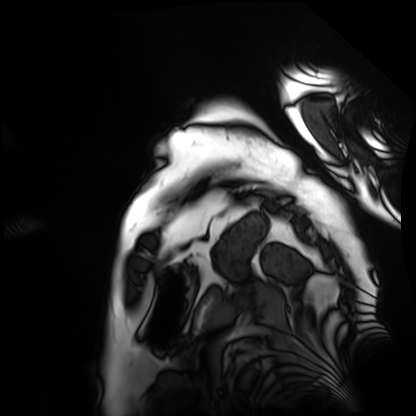
Clinical context: Cardiac MRI. Subject group: patient.